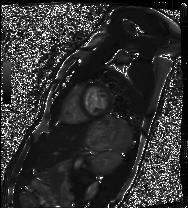
<study>
<modality>cardiac MRI</modality>
<cohort>healthy volunteer</cohort>
</study>